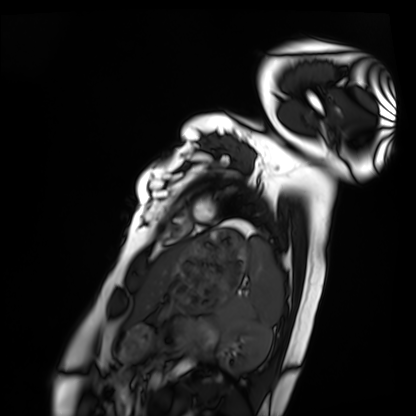
Cardiac MRI.
Subject group: healthy volunteer.